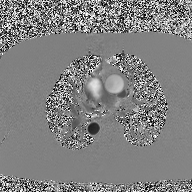
Case:
- modality · 2D phase-contrast cine MRI of the ascending aorta